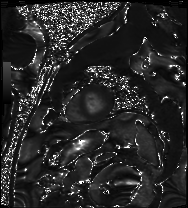
* modality · cardiac MRI
* subject group · patient